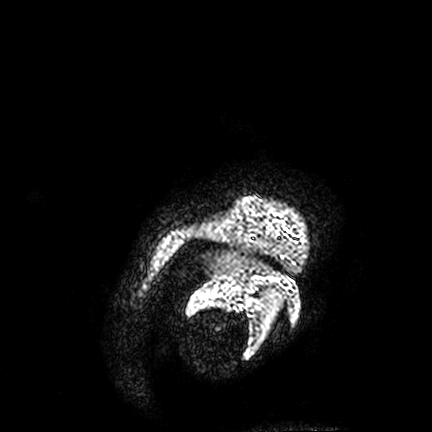
3 Tesla brain MRI. Series: FLAIR VISTA. Study: ring-enhancing brain masses.